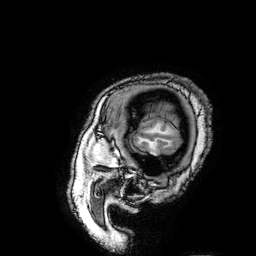
| field | value |
|---|---|
| modality | 3 Tesla brain MRI |
| series | 3D T1-weighted turbo field echo with SENSE |
| study | ring-enhancing brain masses |